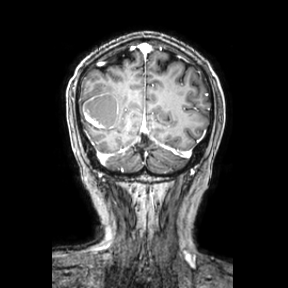
Q: What kind of scan is this?
A: 3 Tesla brain MRI.
Study: ring-enhancing brain masses.